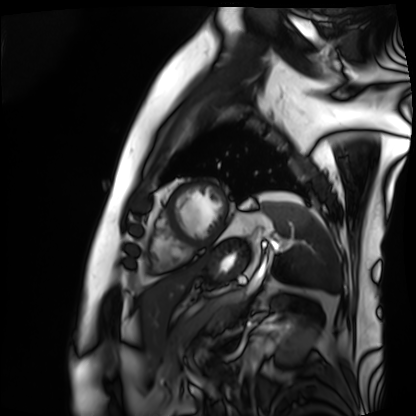
Clinical context:
Cardiac MRI. Subject group: patient.